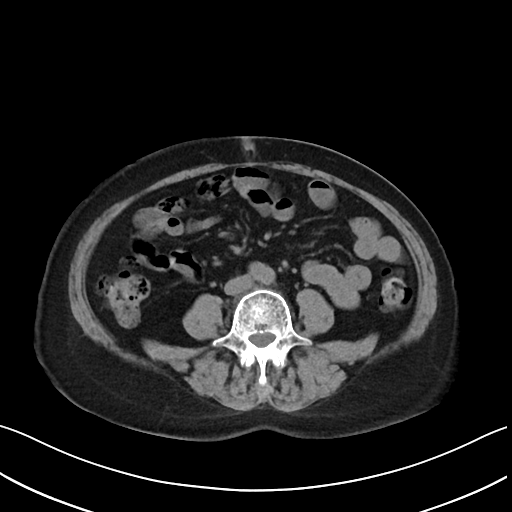
Multiphase abdominal CT, liver, non-contrast phase. Patient: female, age 61.